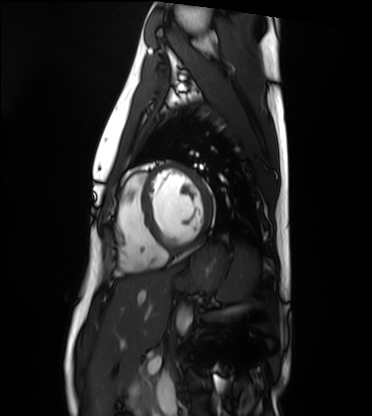
Case summary:
Cardiac MRI. Subject group: healthy volunteer.